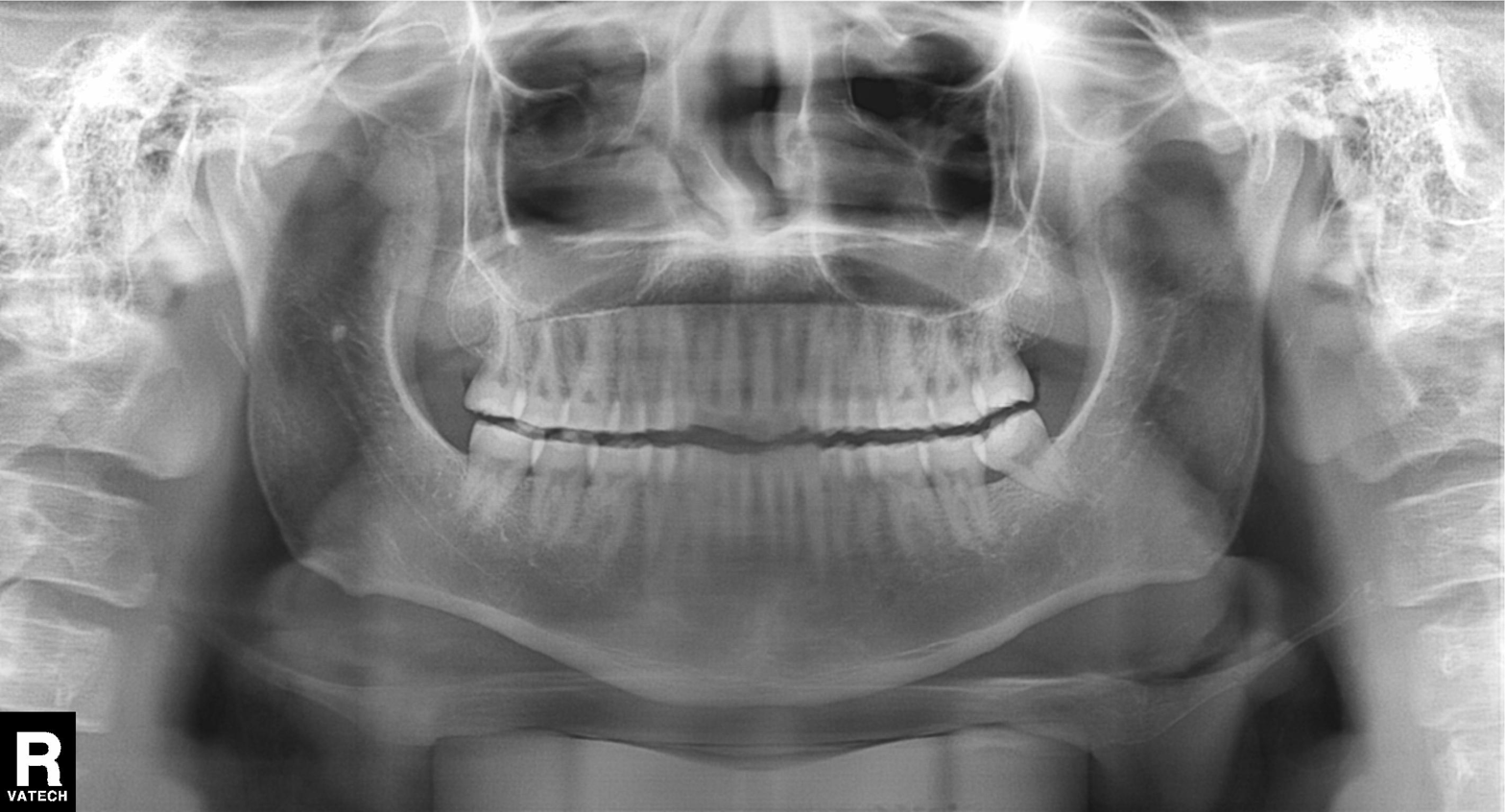
modality — panoramic dental radiograph (orthopantomogram); finding — tooth impaction.